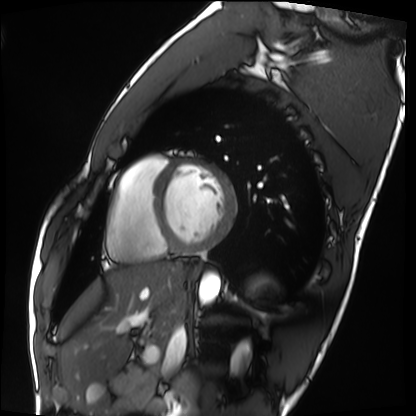
modality: cardiac MRI; subject group: healthy volunteer.